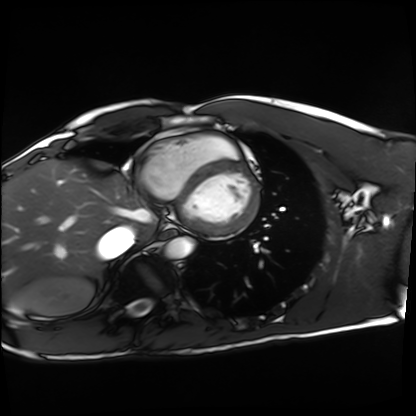
Summary: Cardiac MRI. Subject group: healthy volunteer.